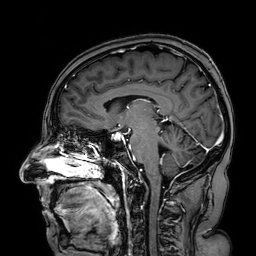
modality=3 Tesla brain MRI; series=3D T1-weighted turbo field echo with SENSE; study=ring-enhancing brain masses.